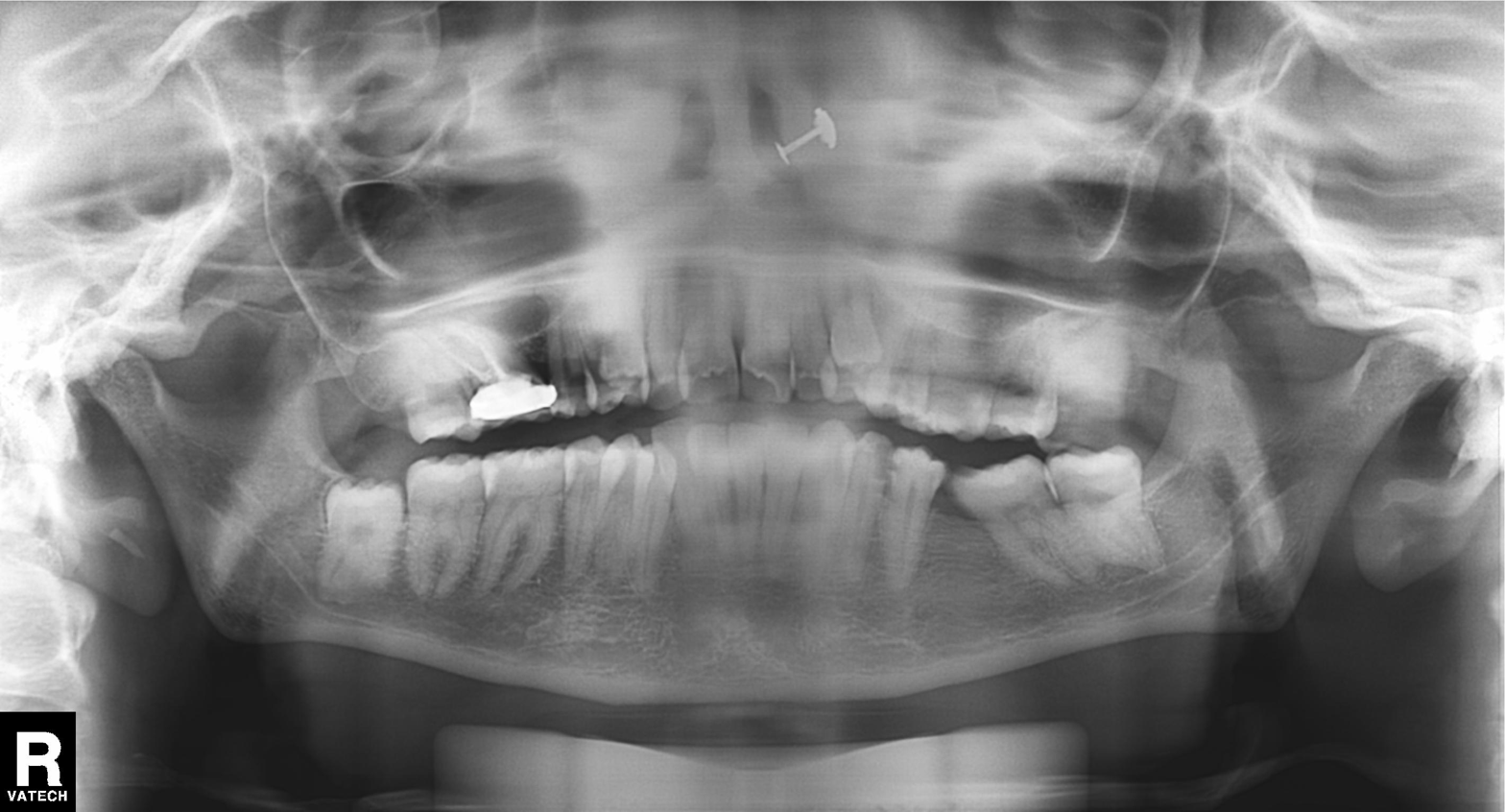
Panoramic dental radiograph (orthopantomogram). Finding: dental caries (cavities).